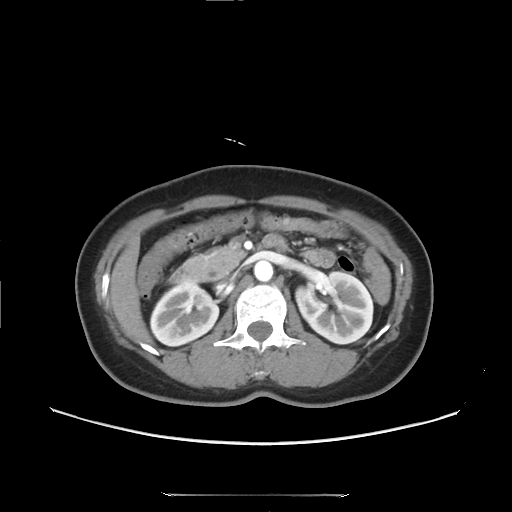
Multiphase abdominal CT, liver, arterial phase. Patient: female, age 49.